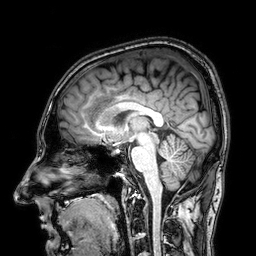
3 Tesla brain MRI. Series: 3D T1-weighted. Study: ring-enhancing brain masses.